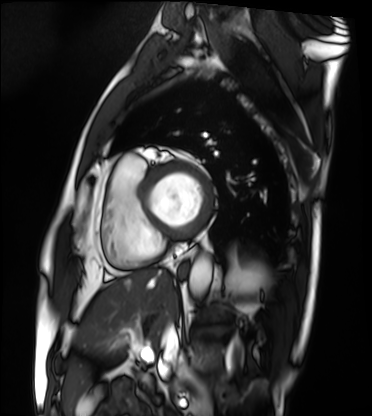
Clinical context:
Cardiac MRI. Subject group: patient.